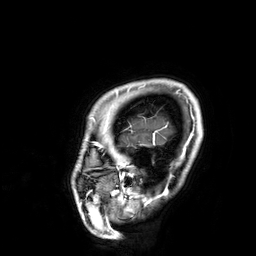
Case:
* modality: 3 Tesla brain MRI
* series: 3D T1-weighted
* study: ring-enhancing brain masses